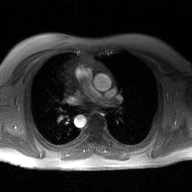
{"modality": {"type": "2D phase-contrast cine MRI", "region": "ascending aorta", "reconstruction": "GAN super-resolution reconstruction"}}